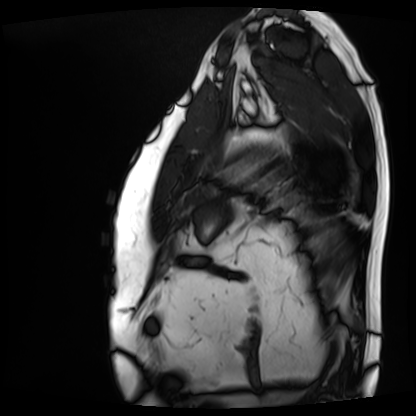
Summary:
Cardiac MRI. Subject group: patient.